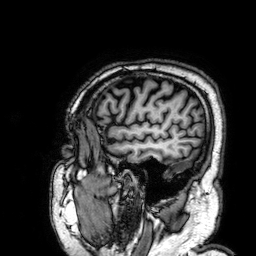
- modality · 3 Tesla brain MRI
- series · 3D T1-weighted
- study · ring-enhancing brain masses